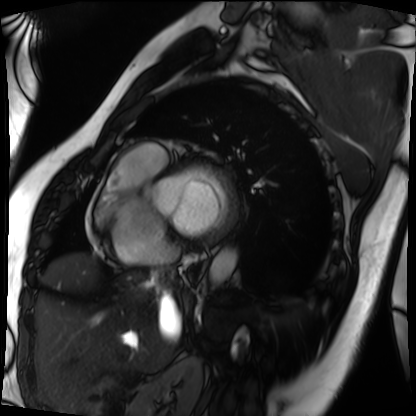
modality=cardiac MRI | subject group=patient.